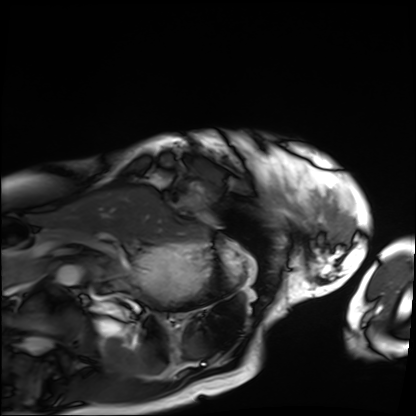
modality — cardiac MRI
subject group — patient